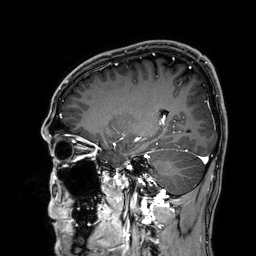
Clinical context:
3 Tesla brain MRI. Series: 3D T1-weighted. Study: ring-enhancing brain masses.